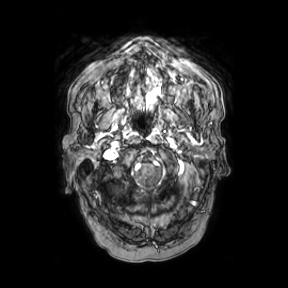
Clinical context:
3 Tesla brain MRI. Study: ring-enhancing brain masses.